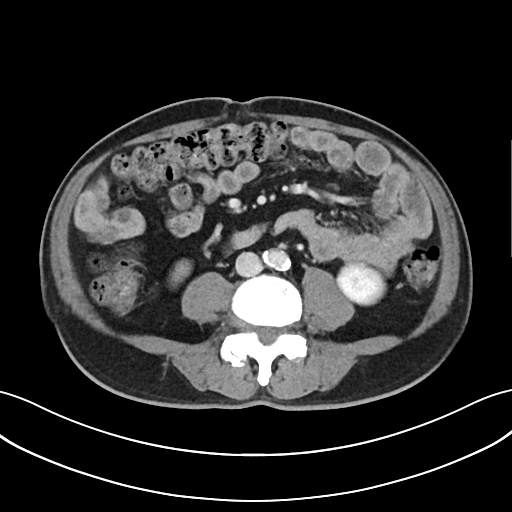
| field | value |
|---|---|
| modality | multiphase abdominal CT, liver, delayed phase |
| patient | male, age 65 |
| history | cirrhosis |